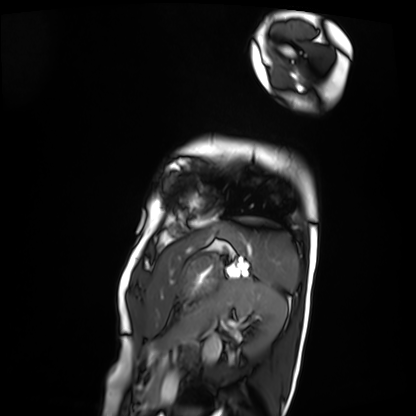
<case>
  <modality>cardiac MRI</modality>
  <cohort>patient</cohort>
</case>